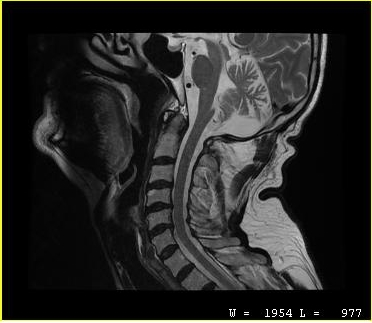
<record>
  <modality>
    <type>cervical spine MRI</type>
  </modality>
  <study_topic>cervical spondylosis</study_topic>
</record>